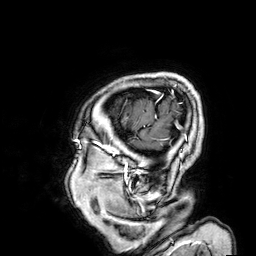
3 Tesla brain MRI. Series: 3D T1-weighted. Study: ring-enhancing brain masses.